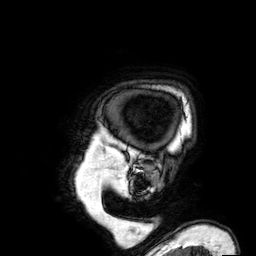
3 Tesla brain MRI. Series: 3D T1-weighted. Study: ring-enhancing brain masses.